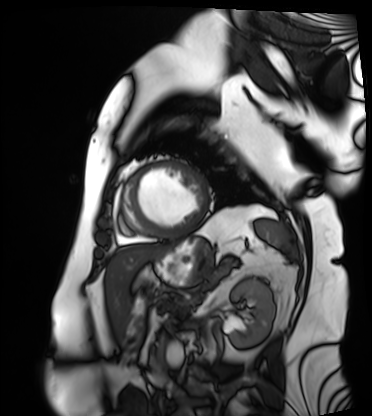
Cardiac MRI. Subject group: patient.